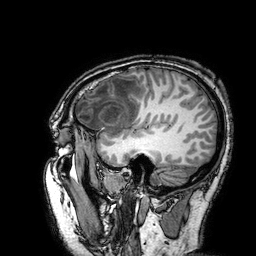
3 Tesla brain MRI. Series: 3D T1-weighted turbo field echo with SENSE. Study: ring-enhancing brain masses.